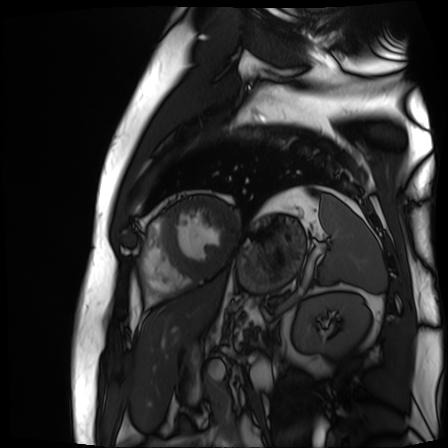
Cardiac MR image of the myocardium.
Subject cohort: cardiac patient.